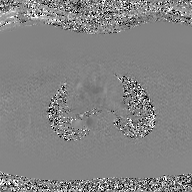
Case:
– modality · 2D phase-contrast cine MRI of the ascending aorta, GAN super-resolution reconstruction